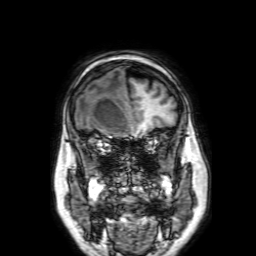
modality = 3 Tesla brain MRI | series = 3D T1-weighted with SENSE | study = ring-enhancing brain masses.